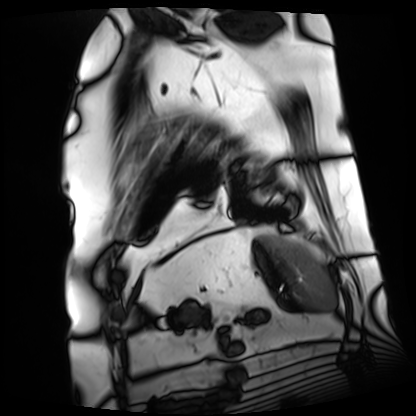
modality: cardiac MRI; subject group: patient.